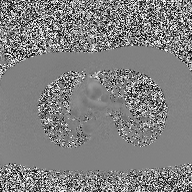
Summary:
2D phase-contrast cine MRI of the ascending aorta, high-resolution GRAPPA acquisition.